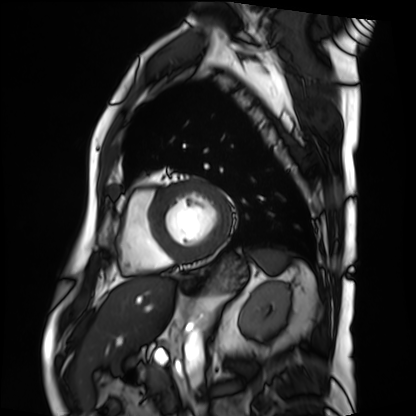
Case summary:
Cardiac MRI. Subject group: patient.